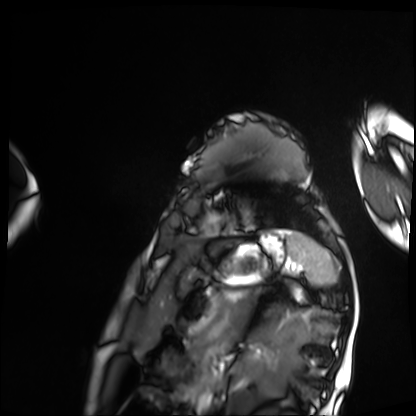
Summary: Cardiac MRI. Subject group: patient.